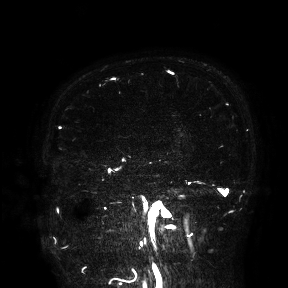
3 Tesla brain MRI. Study: ring-enhancing brain masses.